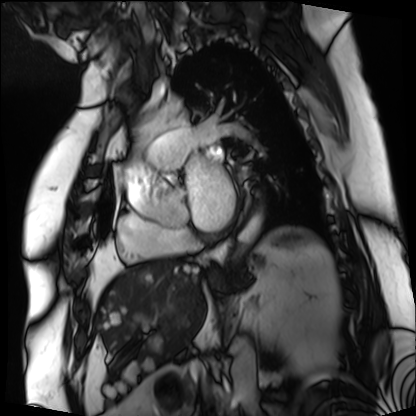
Q: What kind of scan is this?
A: Cardiac MRI.
Subject group: patient.